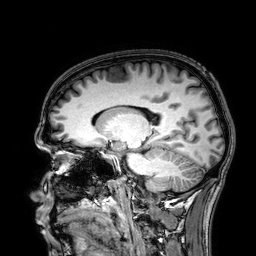
3 Tesla brain MRI. Series: 3D T1-weighted. Study: ring-enhancing brain masses.